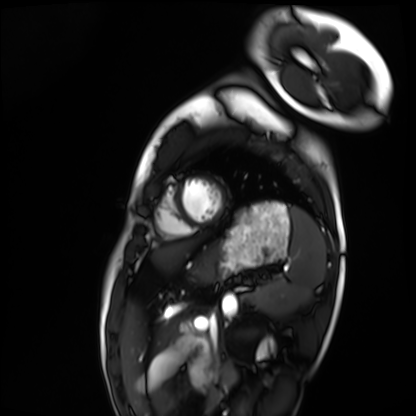
modality: cardiac MRI, subject group: healthy volunteer.